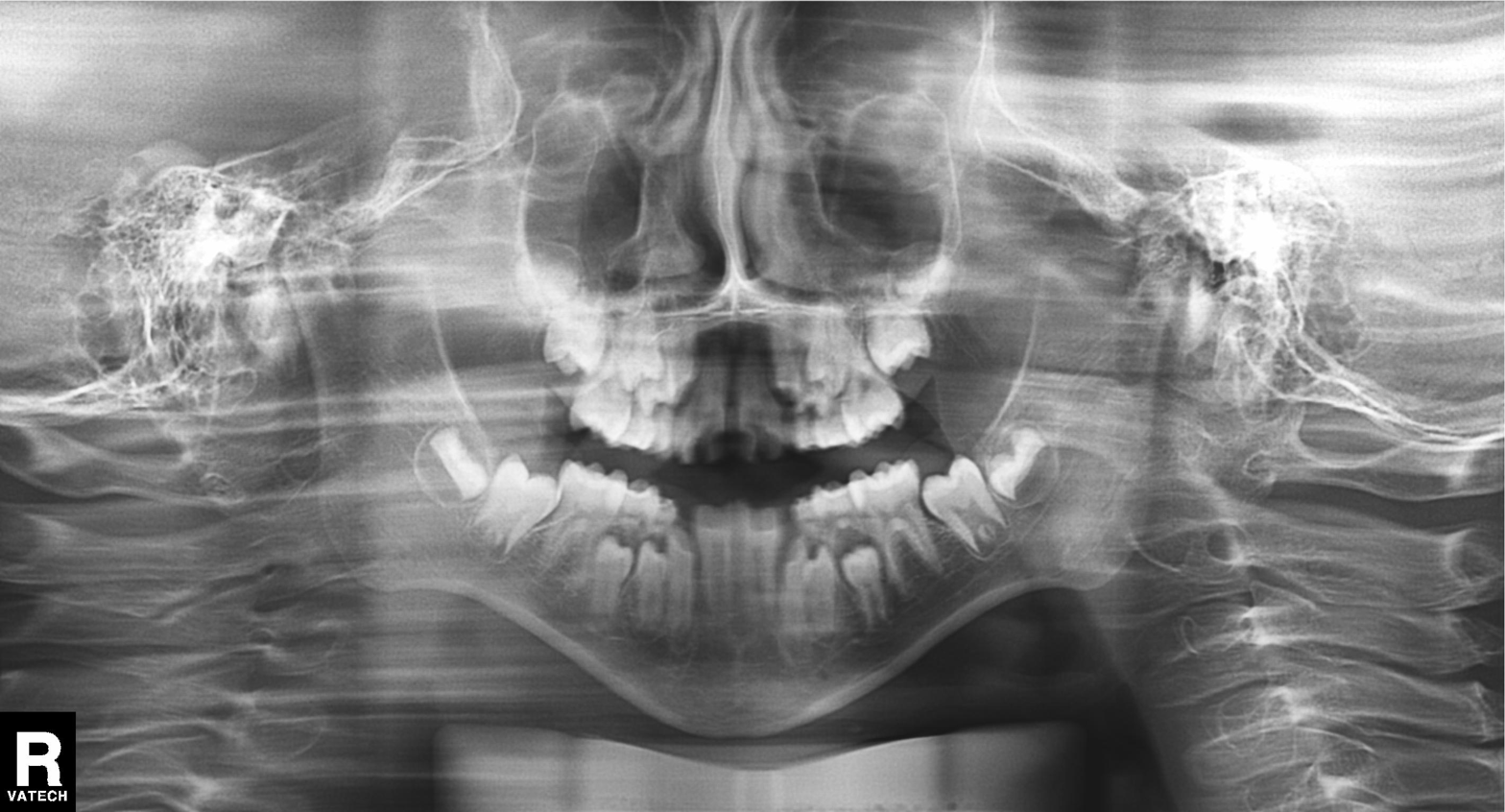
modality: panoramic dental radiograph (orthopantomogram); finding: alveolar bone loss.